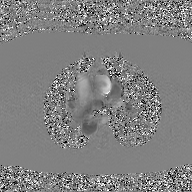
2D phase-contrast cine MRI of the ascending aorta, GAN super-resolution reconstruction.